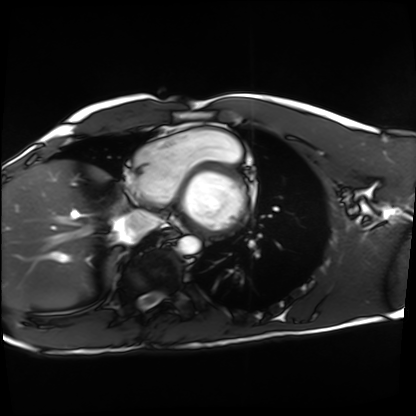
Clinical context: Cardiac MRI. Subject group: healthy volunteer.